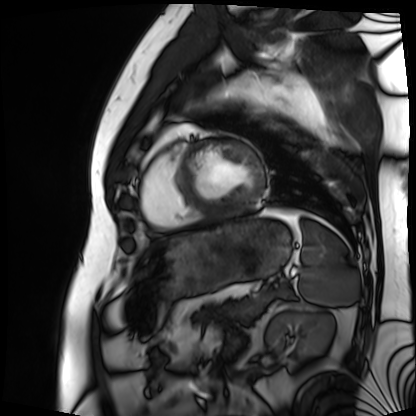
Summary:
Cardiac MRI. Subject group: patient.